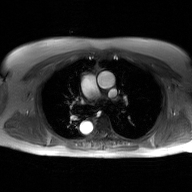
2D phase-contrast cine MRI of the ascending aorta, GAN super-resolution reconstruction.